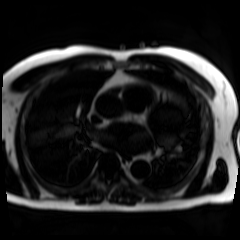
Chemical-shift-encoded cardiac MRI.